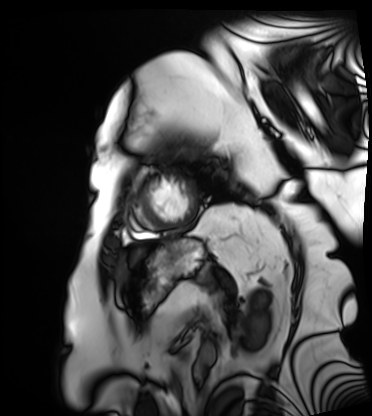
Cardiac MRI. Subject group: patient.